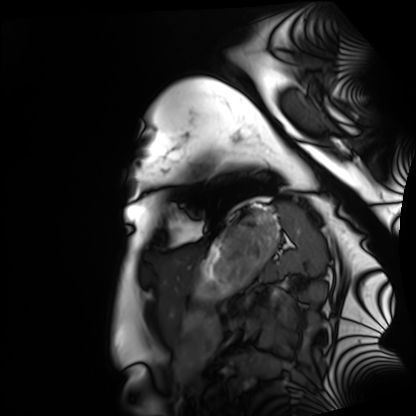
Cardiac MRI. Subject group: healthy volunteer.